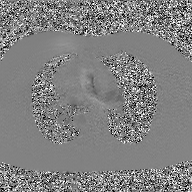
2D phase-contrast cine MRI of the ascending aorta, GAN super-resolution reconstruction.